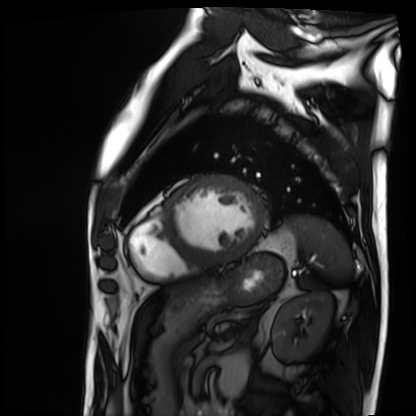
modality = cardiac MRI | subject group = patient.